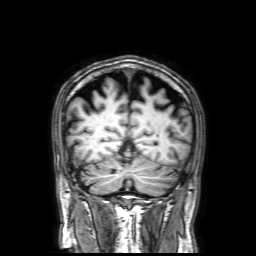
Case summary:
3 Tesla brain MRI. Series: 3D T1-weighted with SENSE. Study: ring-enhancing brain masses.